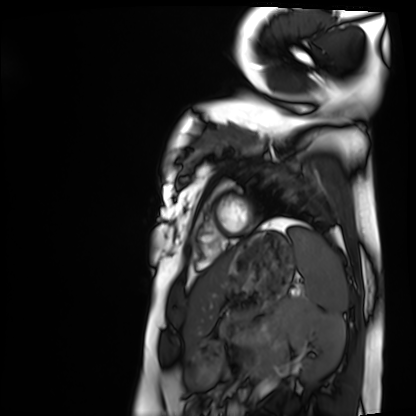
Q: What kind of scan is this?
A: Cardiac MRI.
Subject group: healthy volunteer.